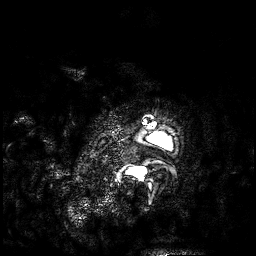
modality=3 Tesla brain MRI; series=3D T1-weighted; study=ring-enhancing brain masses.